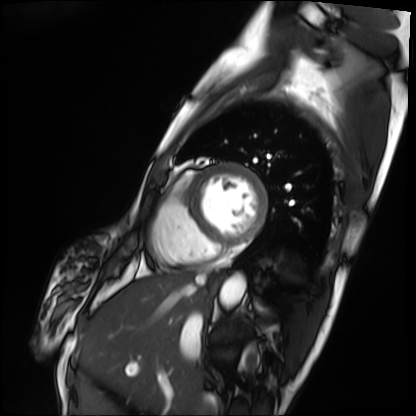
Cardiac MRI. Subject group: patient.